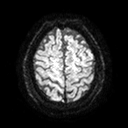
* modality — 3 Tesla brain MRI
* series — diffusion tensor imaging (medium iso)
* study — ring-enhancing brain masses